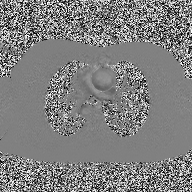
Case summary:
2D phase-contrast cine MRI of the ascending aorta, high-resolution GRAPPA acquisition.